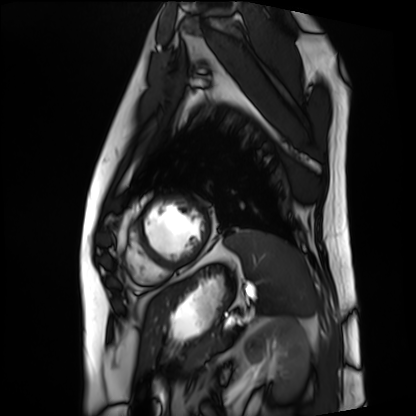
Cardiac MRI. Subject group: patient.